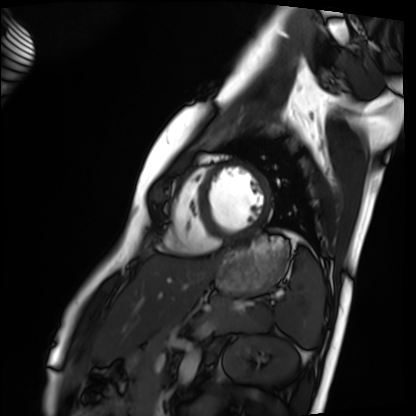
Clinical context: Cardiac MRI. Subject group: healthy volunteer.